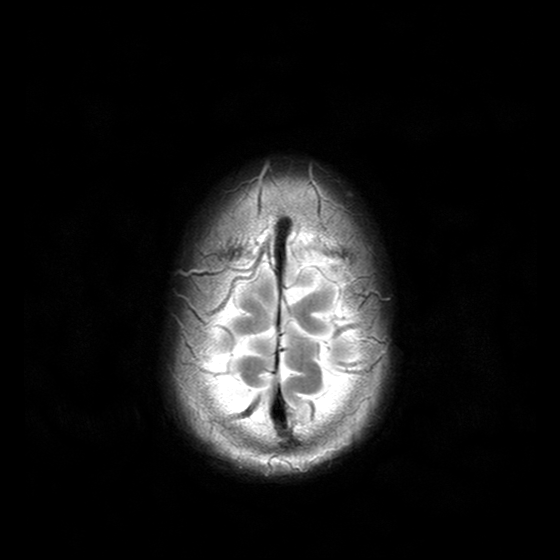
3 Tesla brain MRI. Series: T2-weighted turbo spin echo with CLEAR. Study: ring-enhancing brain masses.